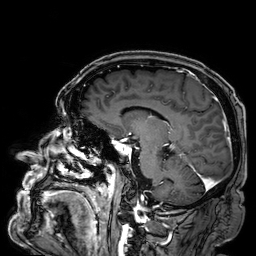
• modality — 3 Tesla brain MRI
• series — 3D T1-weighted
• study — ring-enhancing brain masses